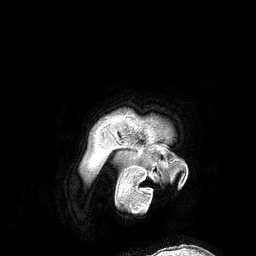
3 Tesla brain MRI. Series: 3D T1-weighted turbo field echo. Study: ring-enhancing brain masses.